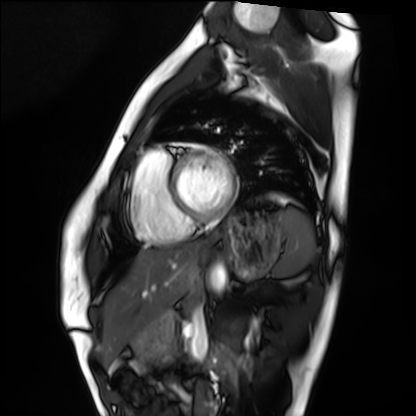
- modality: cardiac MRI
- subject group: healthy volunteer